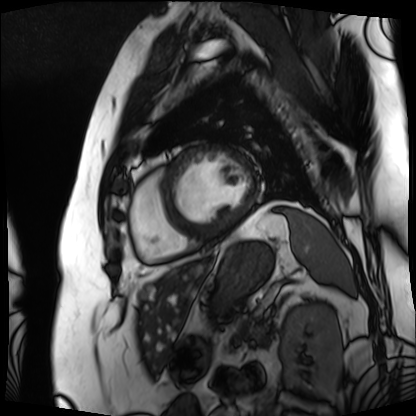
| field | value |
|---|---|
| modality | cardiac MRI |
| subject group | patient |